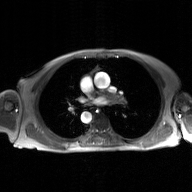
modality = 2D phase-contrast cine MRI of the ascending aorta, GAN super-resolution reconstruction